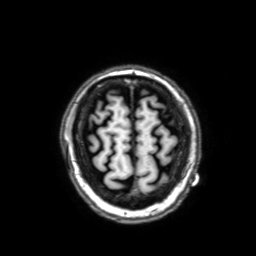
<record>
<modality>
  <type>brain MRI</type>
  <field_strength>3T</field_strength>
</modality>
<series>3D T1-weighted with SENSE</series>
<study_topic>ring-enhancing brain masses</study_topic>
</record>